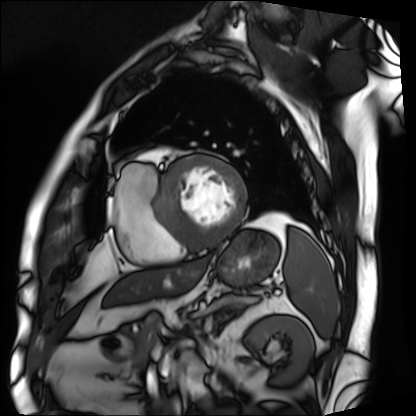
{
  "modality": "cardiac MRI",
  "cohort": "patient"
}